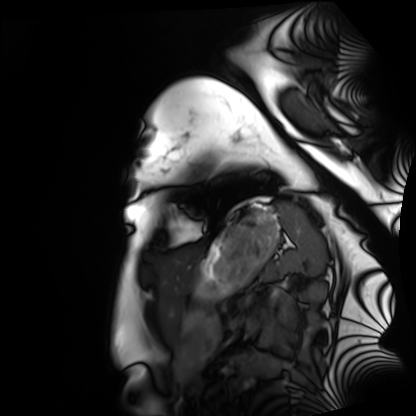
Case summary: Cardiac MRI. Subject group: healthy volunteer.